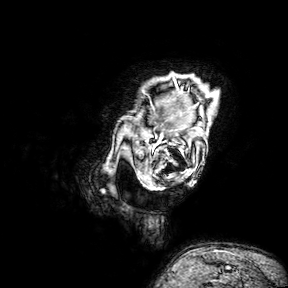
3 Tesla brain MRI. Series: 3D T1-weighted turbo field echo with SENSE. Study: ring-enhancing brain masses.